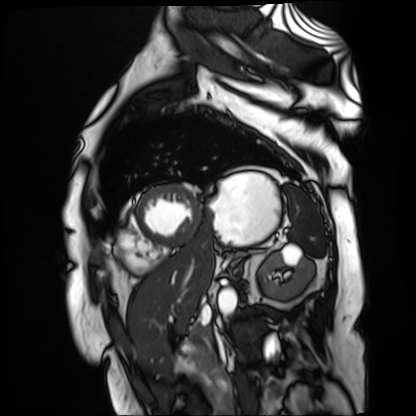
Cardiac MR image of the myocardium.
Subject cohort: cardiac patient.